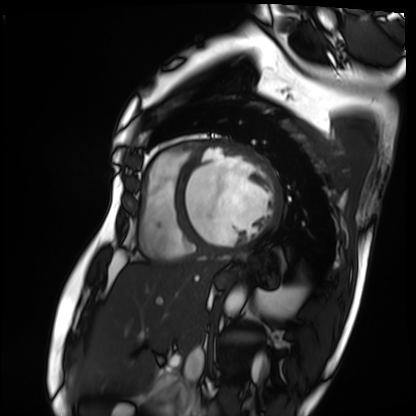
Cardiac MRI.
Subject group: patient.